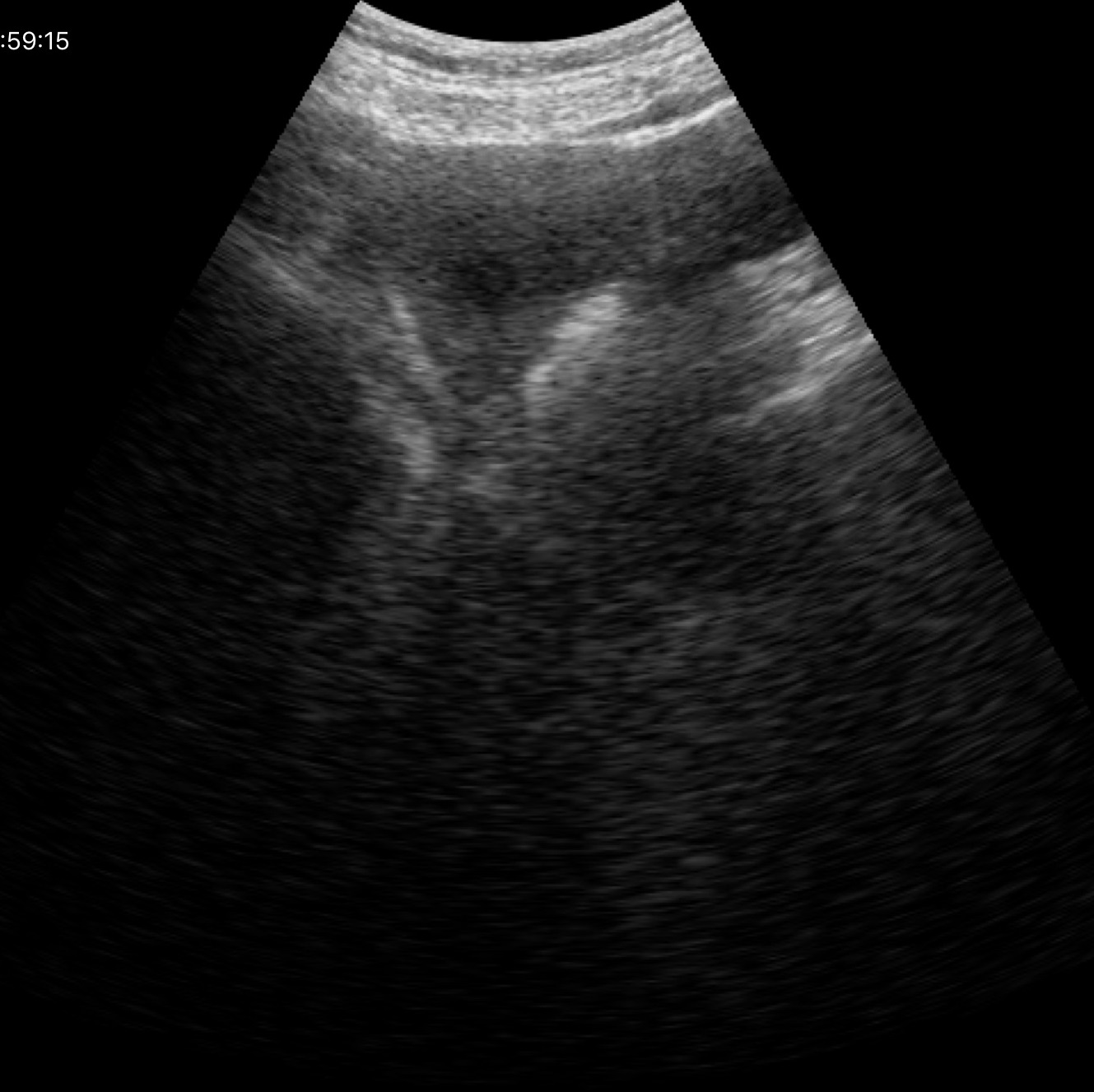
Case summary: Genitourinary ultrasound.